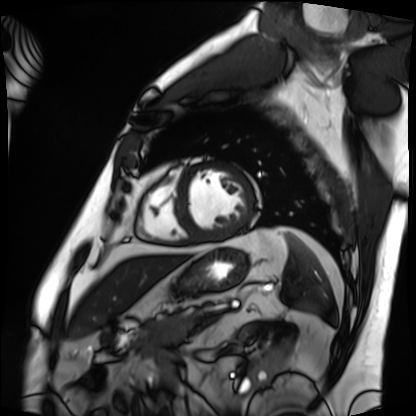
modality: cardiac MRI
cohort: patient